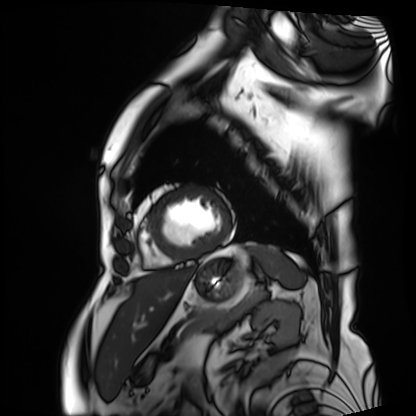
modality = cardiac MRI
subject group = patient